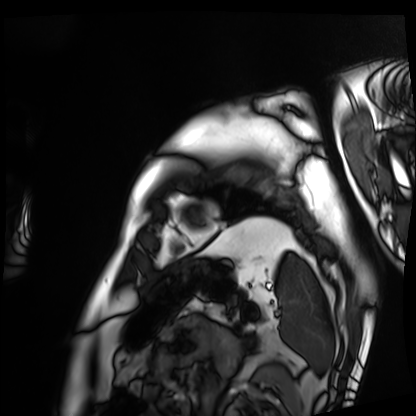
| field | value |
|---|---|
| modality | cardiac MRI |
| subject group | patient |